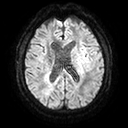
Summary:
3 Tesla brain MRI. Study: ring-enhancing brain masses.